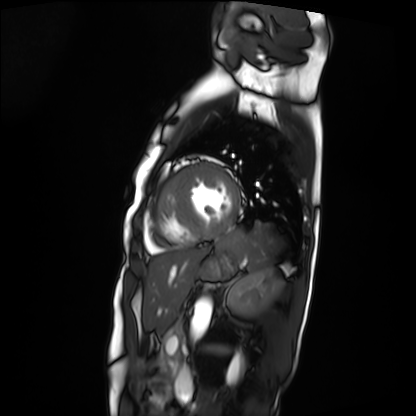
Summary: Cardiac MRI. Subject group: patient.